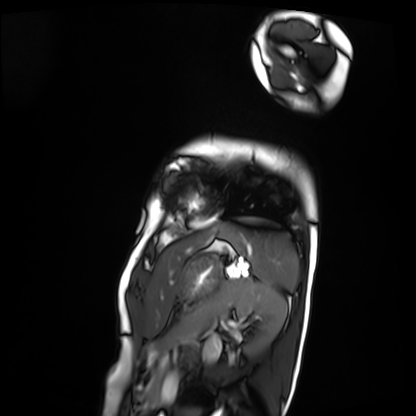
modality: cardiac MRI
subject group: patient